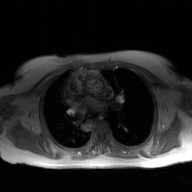
2D phase-contrast cine MRI of the ascending aorta, GAN super-resolution reconstruction.